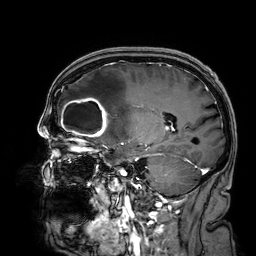
– modality: 3 Tesla brain MRI
– series: 3D T1-weighted
– study: ring-enhancing brain masses